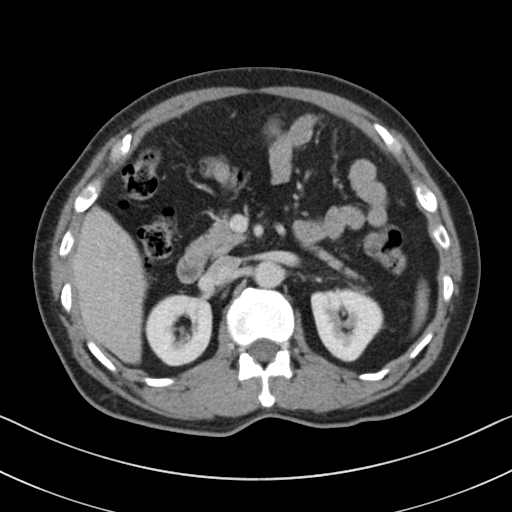
Multiphase abdominal CT, liver, portal venous phase. Patient: male, age 60. History: cirrhosis, viral hepatitis.